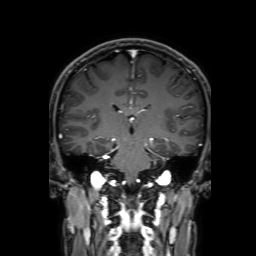
Summary:
3 Tesla brain MRI. Series: 3D T1-weighted with SENSE. Study: ring-enhancing brain masses.